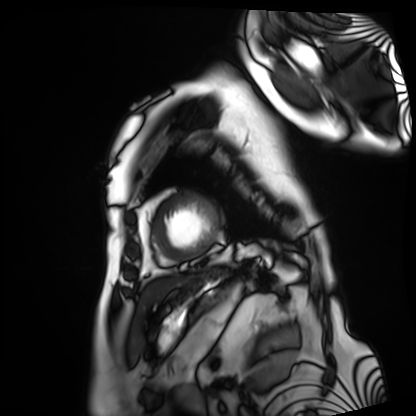
Case:
* modality — cardiac MRI
* subject group — patient